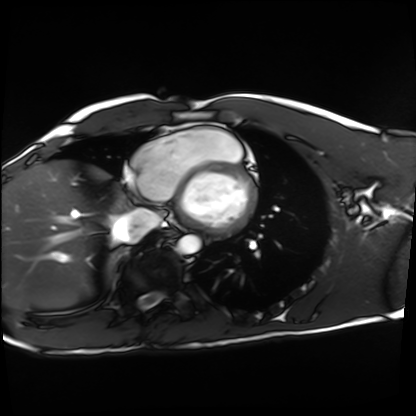
modality = cardiac MRI
subject group = healthy volunteer